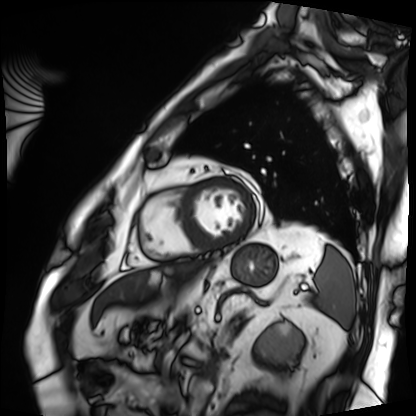
Cardiac MRI. Subject group: patient.